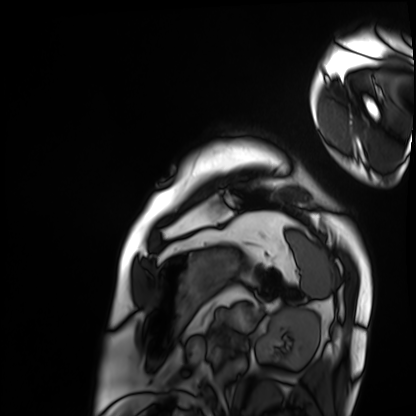
Summary:
Cardiac MRI. Subject group: patient.